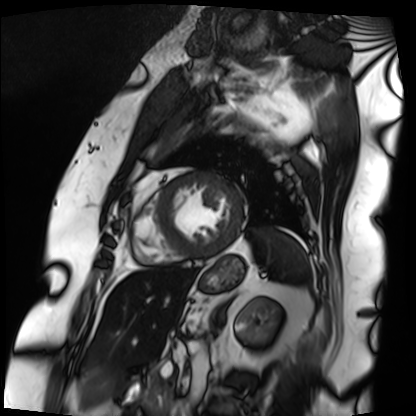
Cardiac MRI. Subject group: patient.